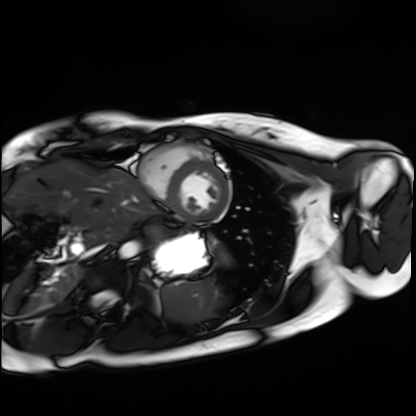
Cardiac MRI. Subject group: healthy volunteer.